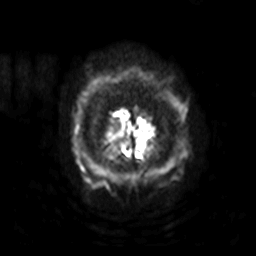
Q: What kind of scan is this?
A: 3 Tesla brain MRI.
Q: Series?
A: Diffusion-weighted imaging with SENSE (WIP).
Study: ring-enhancing brain masses.